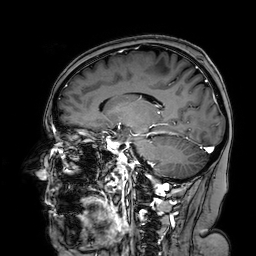
  modality:
    type: brain MRI
    field_strength: 3T
  series: 3D T1-weighted turbo field echo with SENSE
  study_topic: ring-enhancing brain masses